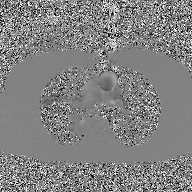
| field | value |
|---|---|
| modality | 2D phase-contrast cine MRI of the ascending aorta, GAN super-resolution reconstruction |